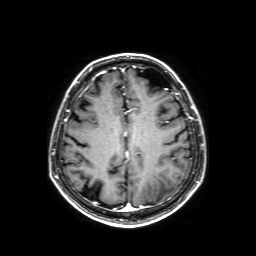
Case summary: 3 Tesla brain MRI. Series: axial T1-weighted fusion image. Study: ring-enhancing brain masses.